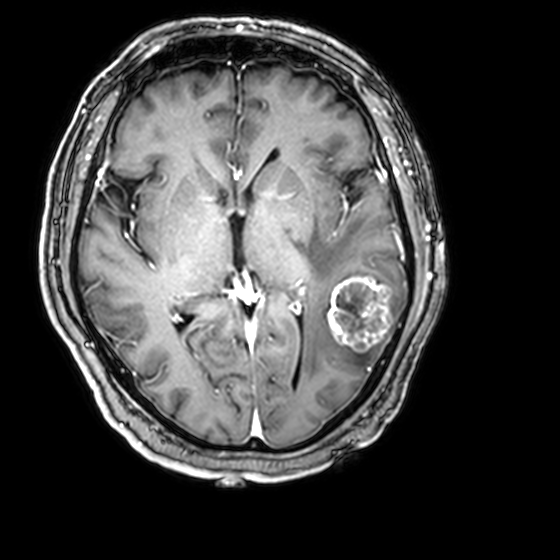
3 Tesla brain MRI. Series: 3D T1-weighted with CLEAR. Study: ring-enhancing brain masses.